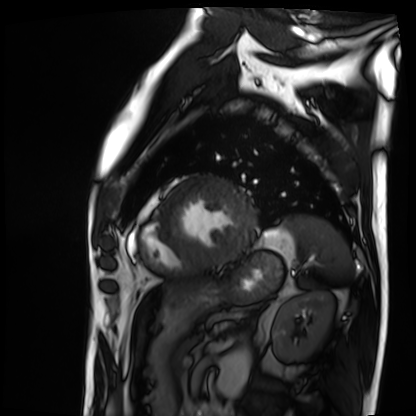
Case:
• modality · cardiac MRI
• subject group · patient